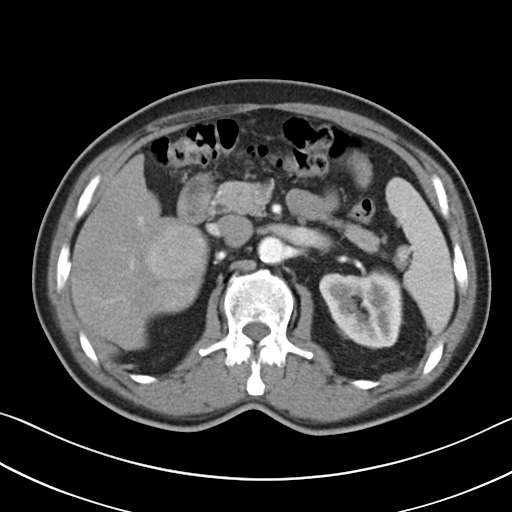
Case:
* modality — multiphase abdominal CT, liver, arterial phase
* patient — male, age 62